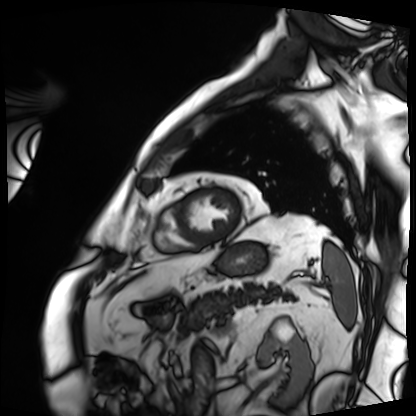
{
  "modality": "cardiac MRI",
  "cohort": "patient"
}